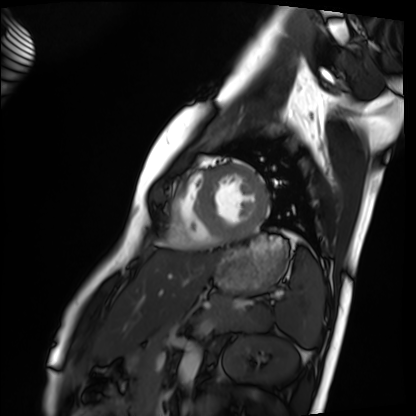
Clinical context: Cardiac MRI. Subject group: healthy volunteer.